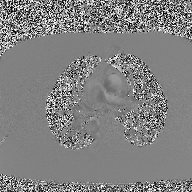
modality — 2D phase-contrast cine MRI of the ascending aorta.